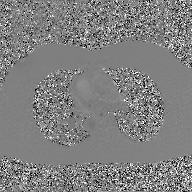
{"modality": {"type": "2D phase-contrast cine MRI", "region": "ascending aorta", "reconstruction": "GAN super-resolution reconstruction"}}